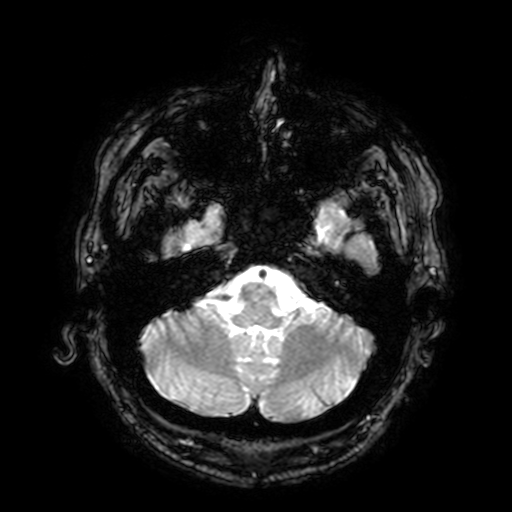
modality=3 Tesla brain MRI
study=ring-enhancing brain masses